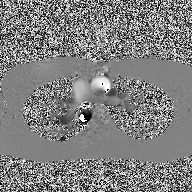
2D phase-contrast cine MRI of the ascending aorta, high-resolution GRAPPA acquisition.